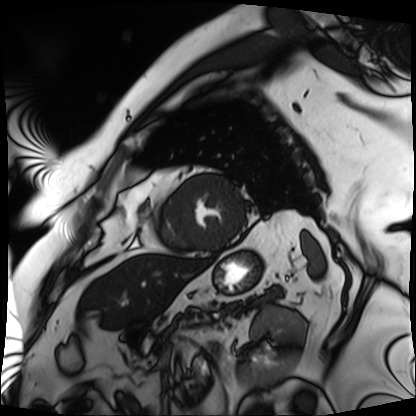
Case:
* modality — cardiac MRI
* subject group — patient